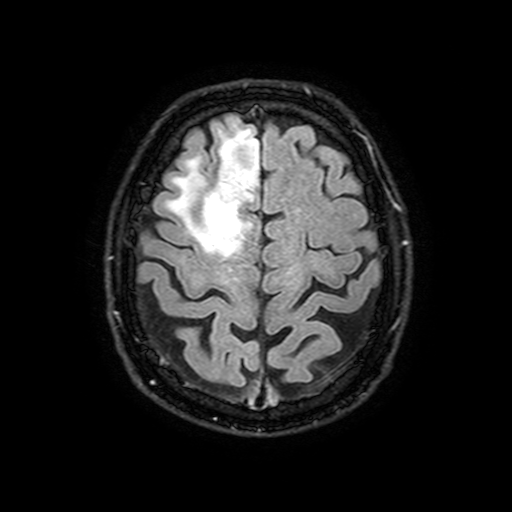
{"modality": {"type": "brain MRI", "field_strength": "3T"}, "series": "FLAIR with SPAIR, 3 mm", "study_topic": "ring-enhancing brain masses"}